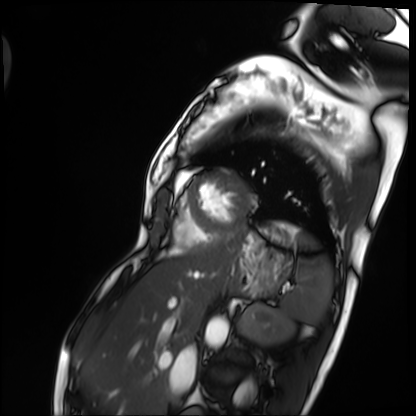
Cardiac MRI.
Subject group: patient.